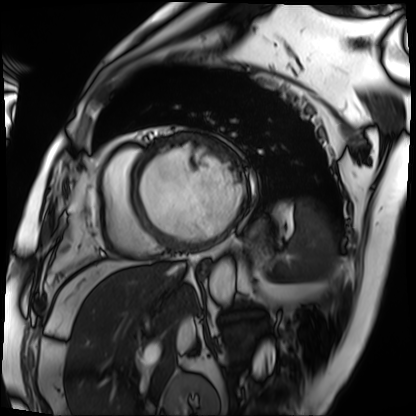
Cardiac MRI. Subject group: patient.